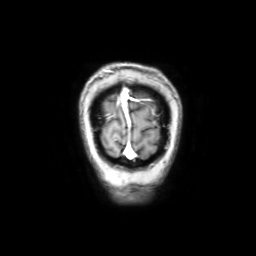
Q: What kind of scan is this?
A: 3 Tesla brain MRI.
Q: Series?
A: Coronal with contrast.
Study: ring-enhancing brain masses.